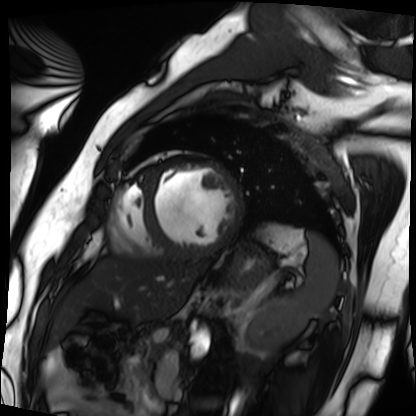
{
  "modality": "cardiac MRI",
  "cohort": "patient"
}